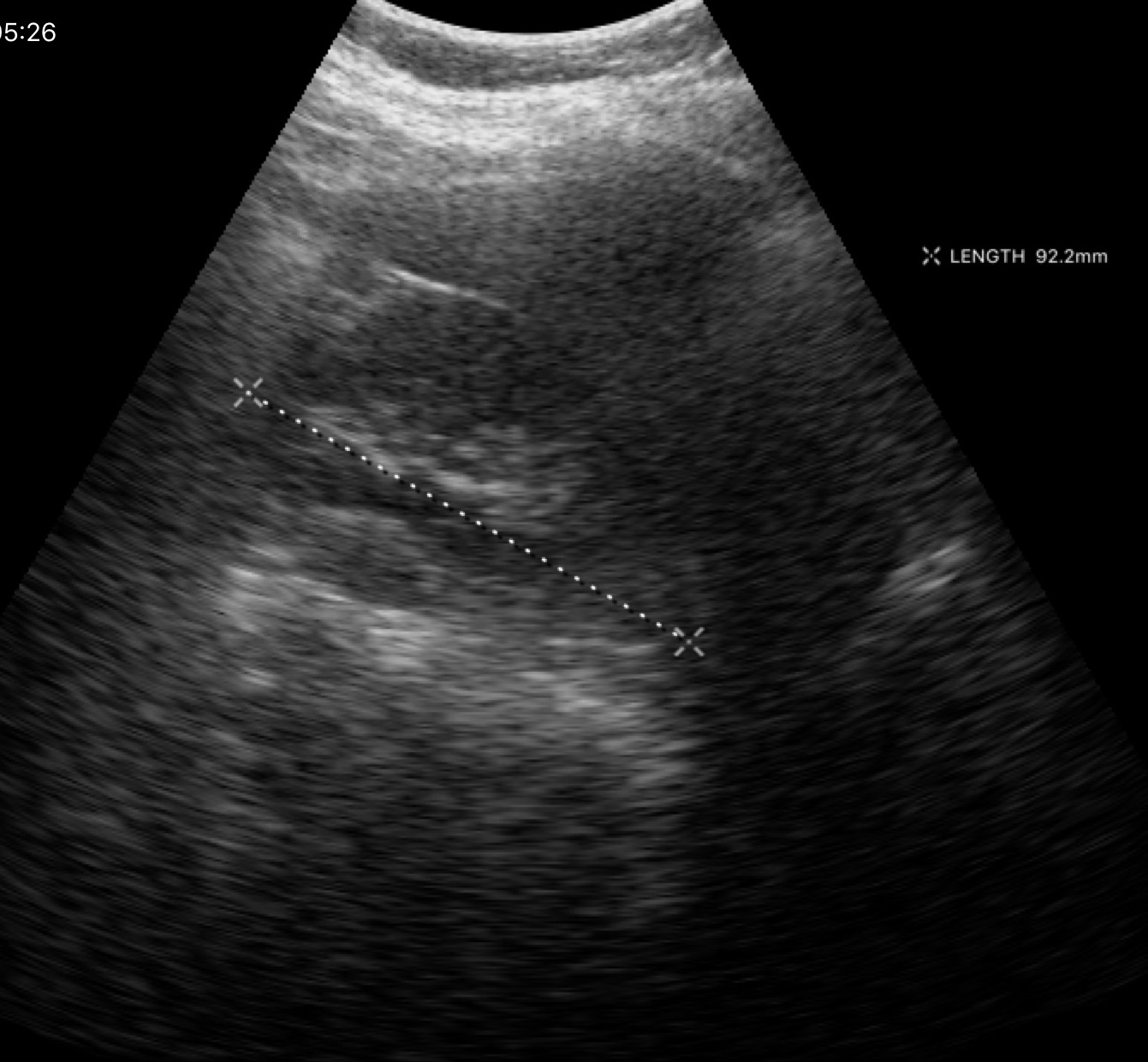
Genitourinary ultrasound.